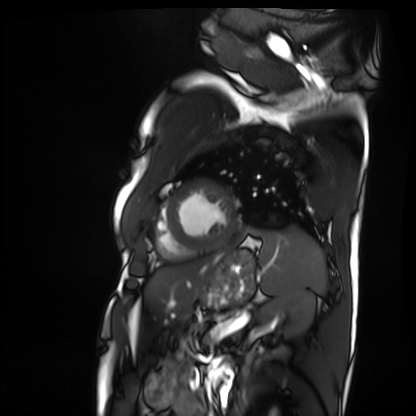
Cardiac MRI.
Subject group: patient.